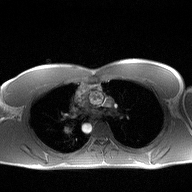
2D phase-contrast cine MRI of the ascending aorta, high-resolution GRAPPA acquisition.